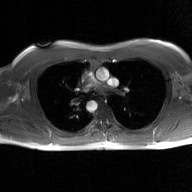
Case summary: 2D phase-contrast cine MRI of the ascending aorta, GAN super-resolution reconstruction.